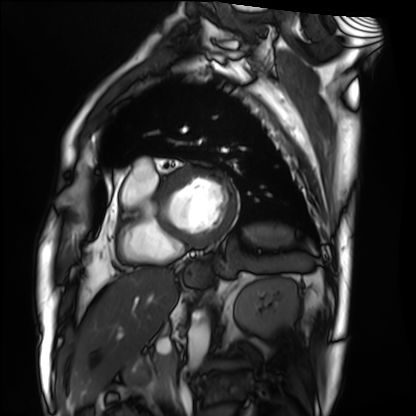
modality — cardiac MRI
subject group — patient